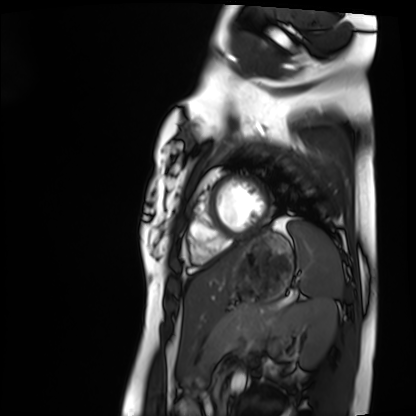
Q: What kind of scan is this?
A: Cardiac MRI.
Subject group: healthy volunteer.